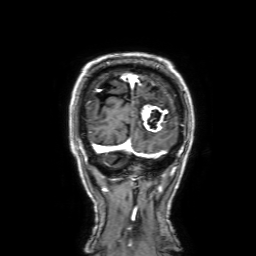
3 Tesla brain MRI. Series: 3D T1-weighted with SENSE. Study: ring-enhancing brain masses.